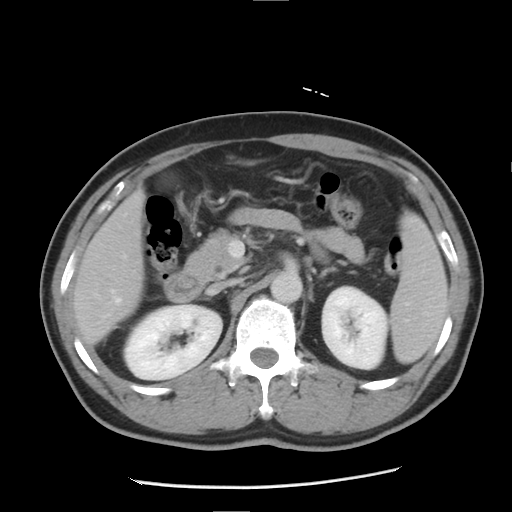
Summary:
Multiphase abdominal CT, liver, delayed phase. Patient: male, age 51.